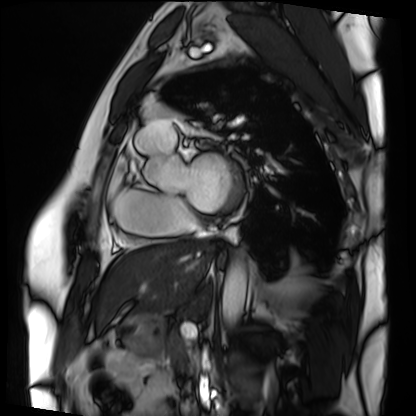
Cardiac MRI. Subject group: patient.